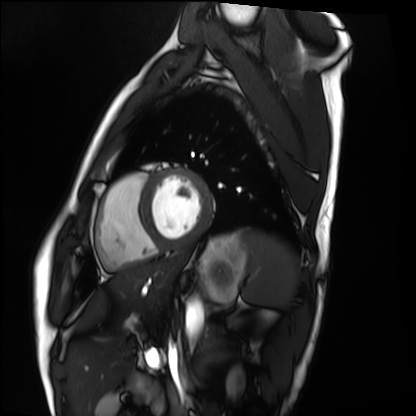
modality = cardiac MRI | subject group = healthy volunteer.